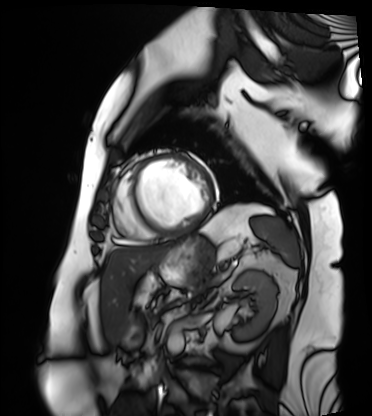
Cardiac MRI. Subject group: patient.